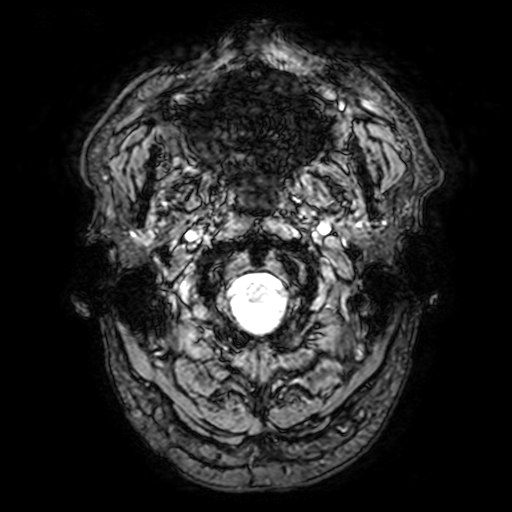
Case summary: 3 Tesla brain MRI. Series: T2-weighted fast field echo with SENSE. Study: ring-enhancing brain masses.